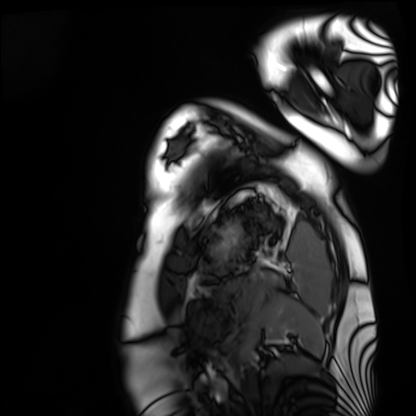
  modality: cardiac MRI
  cohort: healthy volunteer